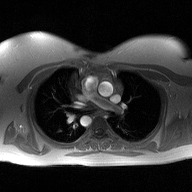
Q: What kind of scan is this?
A: 2D phase-contrast cine MRI of the ascending aorta.